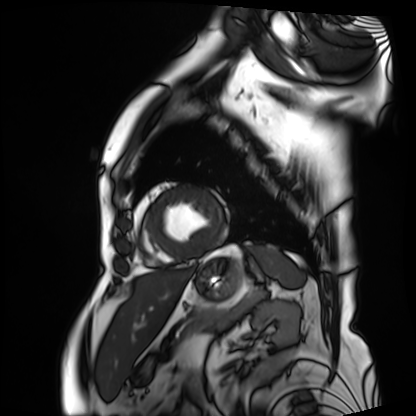
Q: What kind of scan is this?
A: Cardiac MRI.
Subject group: patient.